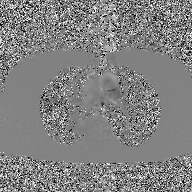
Q: What kind of scan is this?
A: 2D phase-contrast cine MRI of the ascending aorta, GAN super-resolution reconstruction.